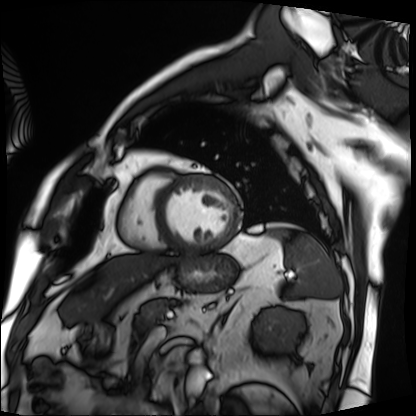
Cardiac MRI. Subject group: patient.